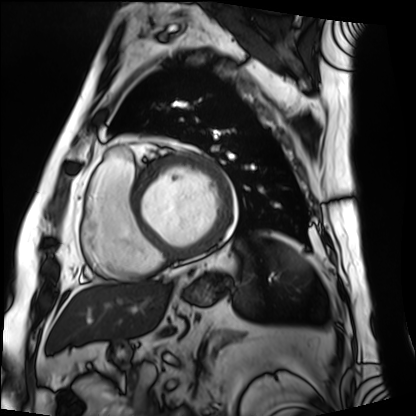
Case summary:
Cardiac MRI. Subject group: patient.